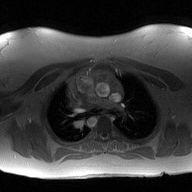
2D phase-contrast cine MRI of the ascending aorta, high-resolution GRAPPA acquisition.